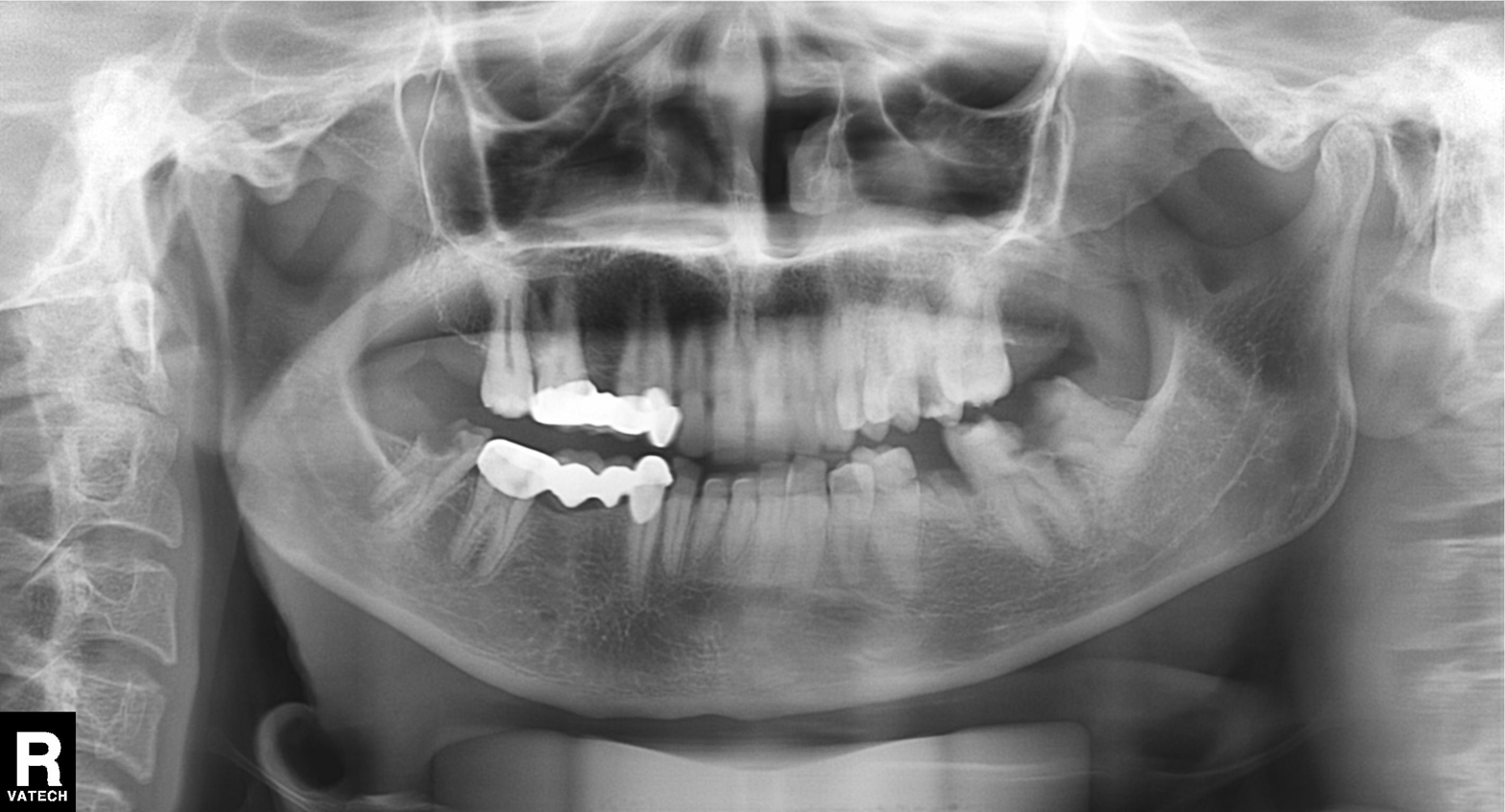
Panoramic dental radiograph (orthopantomogram).
Finding: dental caries (cavities).